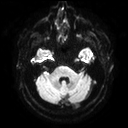
3 Tesla brain MRI. Series: diffusion tensor imaging (medium iso). Study: ring-enhancing brain masses.